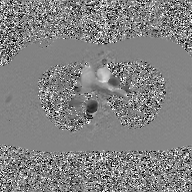
{"modality": {"type": "2D phase-contrast cine MRI", "region": "ascending aorta", "reconstruction": "GAN super-resolution reconstruction"}}